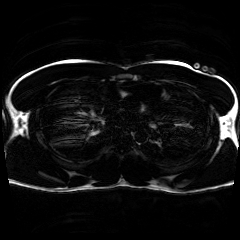
Summary: Chemical-shift-encoded cardiac MRI.